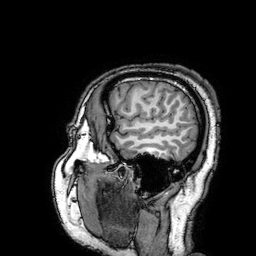
modality: 3 Tesla brain MRI | series: 3D T1-weighted turbo field echo with SENSE | study: ring-enhancing brain masses.